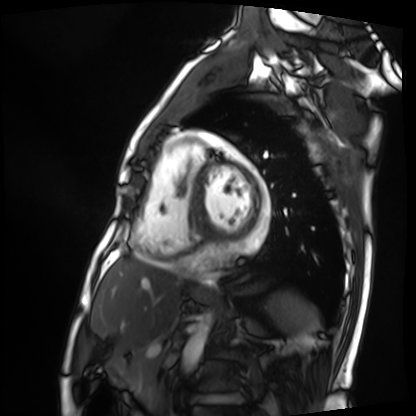
* modality — cardiac MRI
* subject group — patient